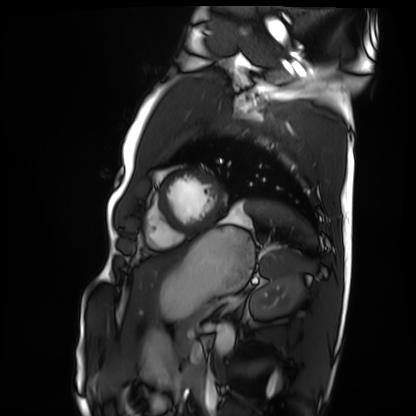
modality=cardiac MRI
subject group=healthy volunteer